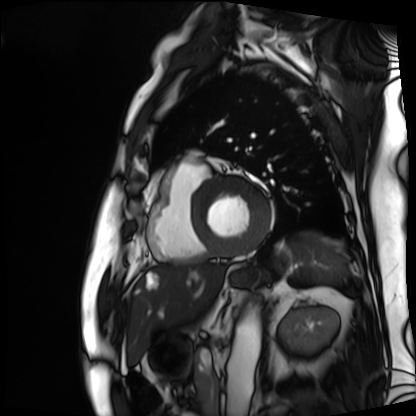
Cardiac MRI.
Subject group: patient.